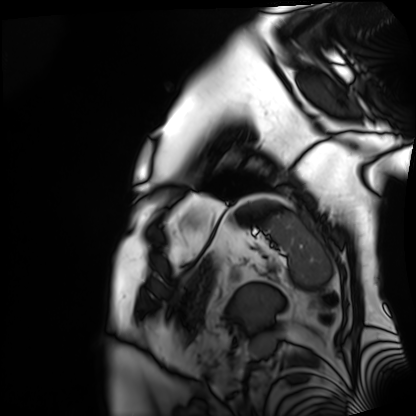
{"modality": "cardiac MRI", "cohort": "patient"}